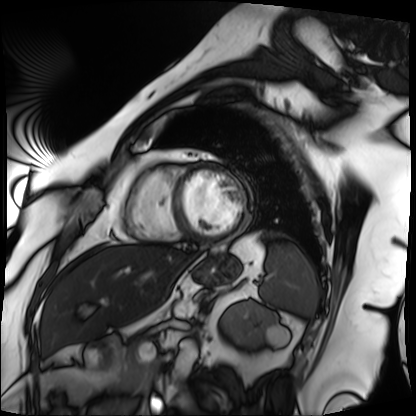
Cardiac MRI.
Subject group: patient.